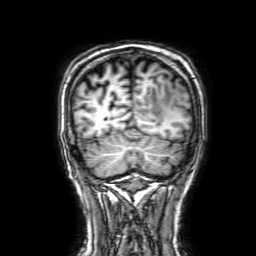
Clinical context: 3 Tesla brain MRI. Series: 3D T1-weighted with SENSE. Study: ring-enhancing brain masses.